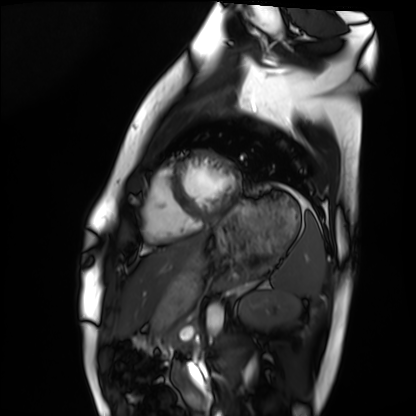
<study>
<modality>cardiac MRI</modality>
<cohort>healthy volunteer</cohort>
</study>